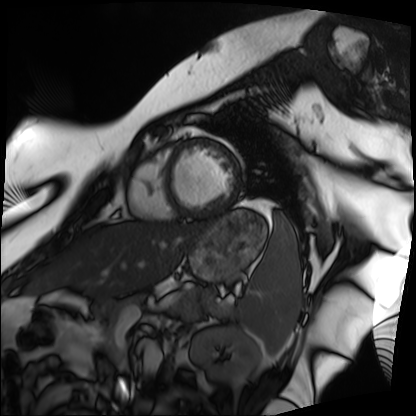
modality: cardiac MRI
subject group: patient